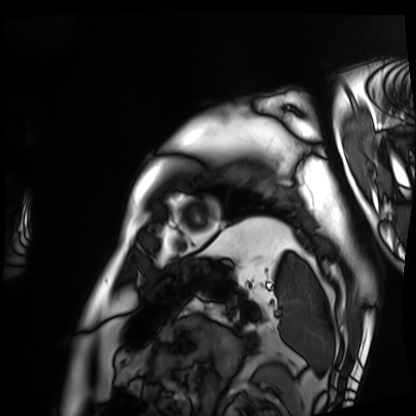
* modality: cardiac MRI
* subject group: patient